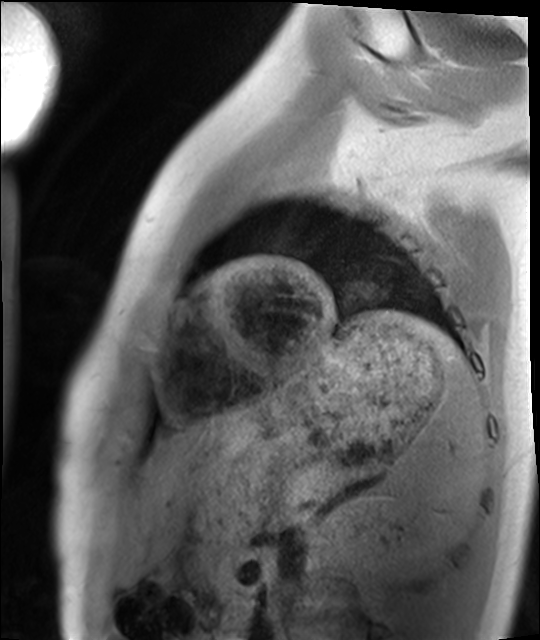
Cardiac MRI. Subject group: healthy volunteer.